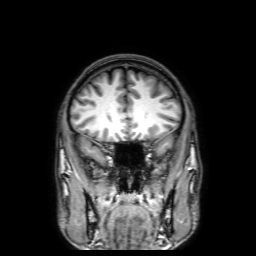
Q: What kind of scan is this?
A: 3 Tesla brain MRI.
Q: Series?
A: 3D T1-weighted with SENSE.
Study: ring-enhancing brain masses.